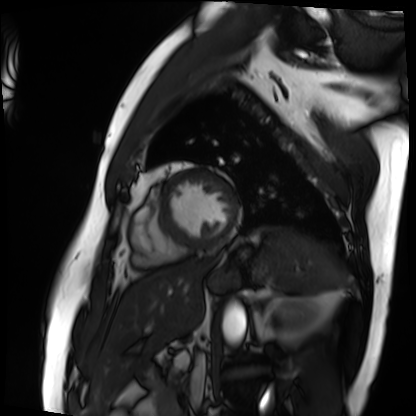
Cardiac MRI. Subject group: patient.